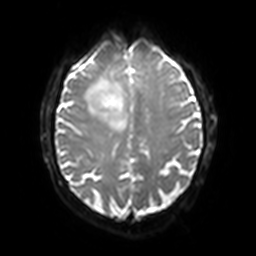
Q: What kind of scan is this?
A: 3 Tesla brain MRI.
Q: Series?
A: Diffusion-weighted imaging with SENSE (WIP).
Study: ring-enhancing brain masses.